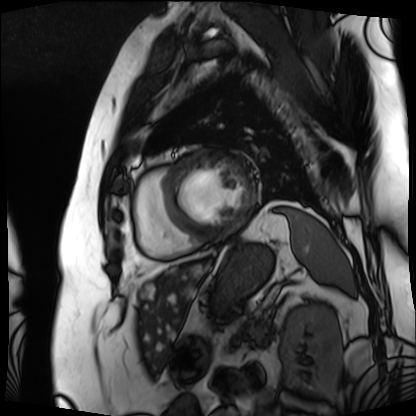
Cardiac MRI.
Subject group: patient.